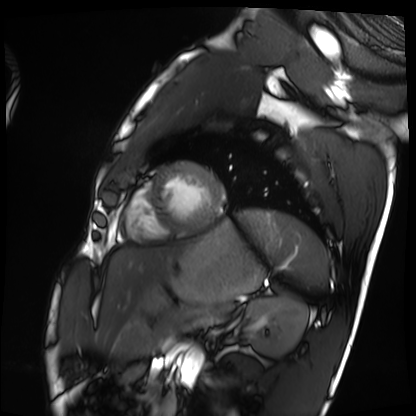
  modality: cardiac MRI
  cohort: healthy volunteer